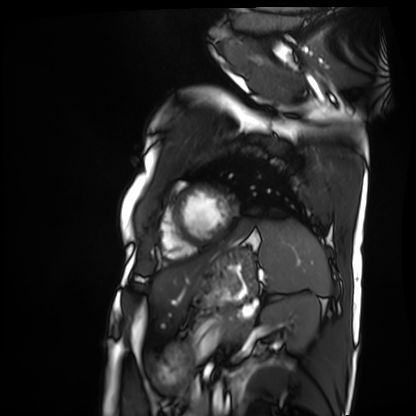
Cardiac MRI. Subject group: patient.